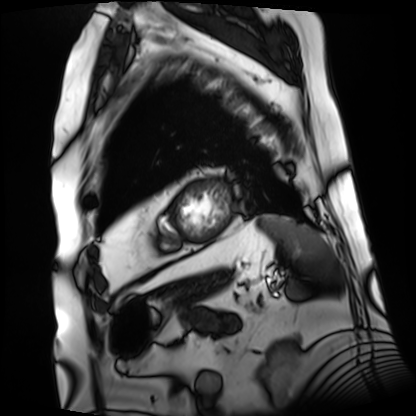
Cardiac MRI.
Subject group: patient.